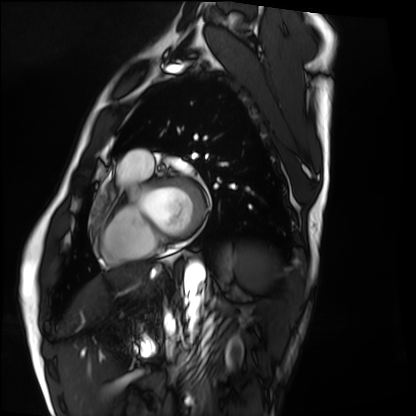
modality = cardiac MRI
subject group = healthy volunteer